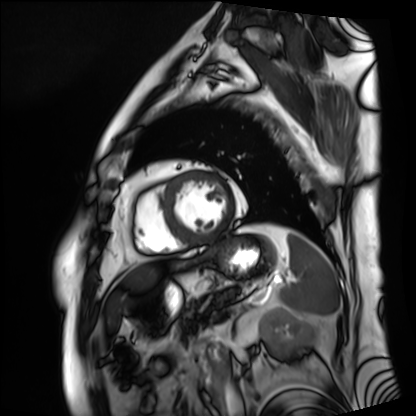
{
  "modality": "cardiac MRI",
  "cohort": "patient"
}